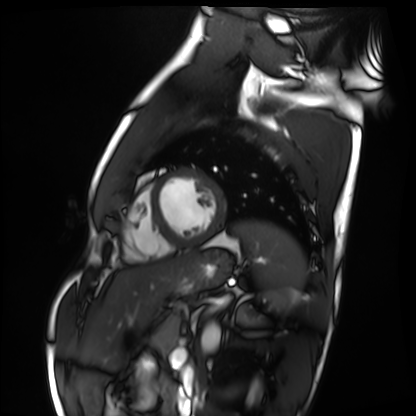
Cardiac MRI.
Subject group: healthy volunteer.